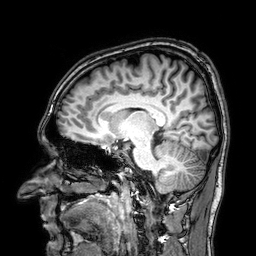
modality: 3 Tesla brain MRI
series: 3D T1-weighted
study: ring-enhancing brain masses